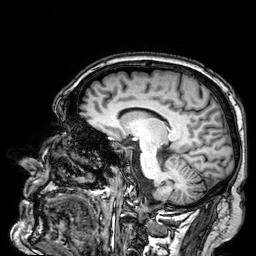
{
  "modality": {
    "type": "brain MRI",
    "field_strength": "3T"
  },
  "series": "3D T1-weighted",
  "study_topic": "ring-enhancing brain masses"
}